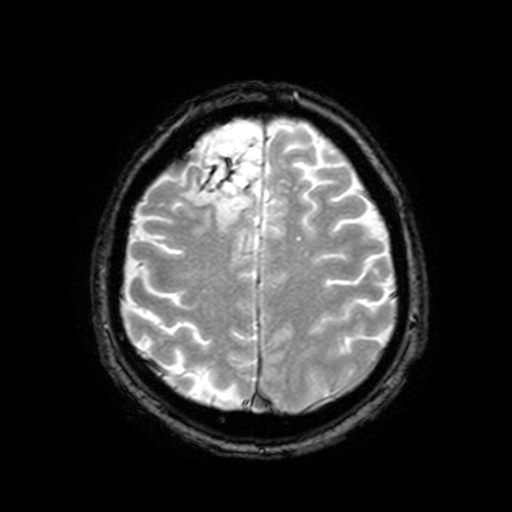
3 Tesla brain MRI. Series: T2-weighted fast field echo with SENSE. Study: ring-enhancing brain masses.